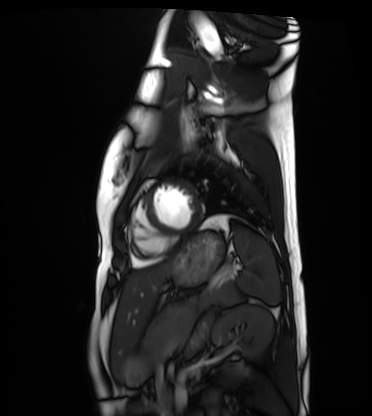
Cardiac MRI. Subject group: healthy volunteer.